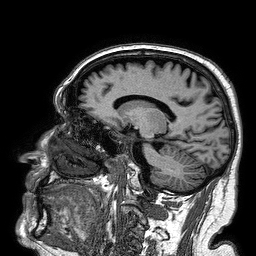
Clinical context:
3 Tesla brain MRI. Series: 3D T1-weighted turbo field echo. Study: ring-enhancing brain masses.